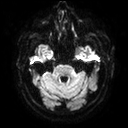
modality: 3 Tesla brain MRI | series: diffusion tensor imaging (medium iso) | study: ring-enhancing brain masses.